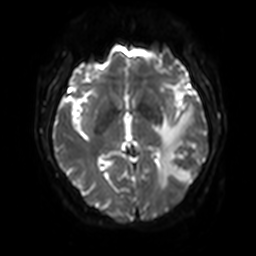
3 Tesla brain MRI. Series: diffusion-weighted imaging with SENSE (WIP). Study: ring-enhancing brain masses.